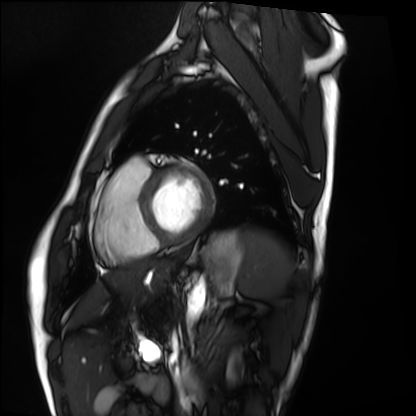
<study>
  <modality>cardiac MRI</modality>
  <cohort>healthy volunteer</cohort>
</study>